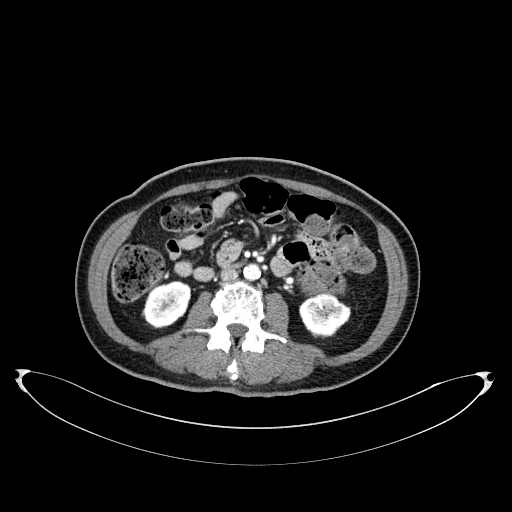
<study>
<modality>
  <type>multiphase abdominal CT</type>
  <region>liver</region>
  <phase>portal venous</phase>
</modality>
<patient>
  <sex>female</sex>
  <age>60</age>
</patient>
</study>